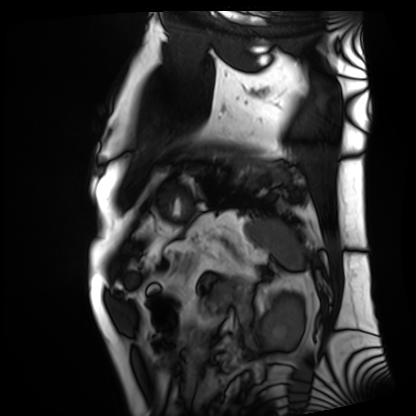
modality = cardiac MRI, subject group = patient.